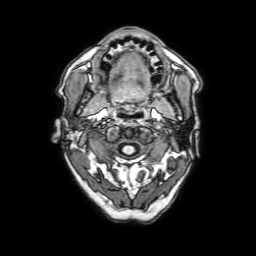
modality = 3 Tesla brain MRI; series = 3D T1-weighted with SENSE; study = ring-enhancing brain masses.